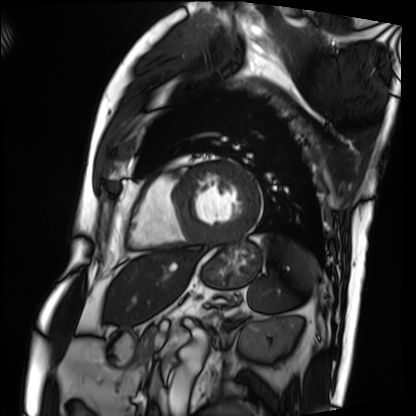
Cardiac MRI. Subject group: patient.